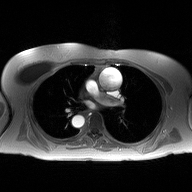
Summary:
2D phase-contrast cine MRI of the ascending aorta, high-resolution GRAPPA acquisition.